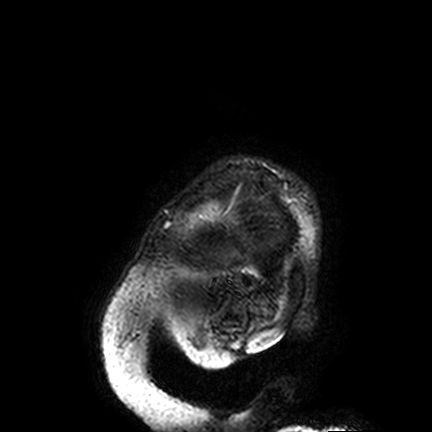
| field | value |
|---|---|
| modality | 3 Tesla brain MRI |
| series | FLAIR VISTA |
| study | ring-enhancing brain masses |